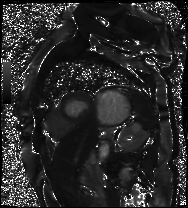
Cardiac MR image of the myocardium.
Subject cohort: cardiac patient.